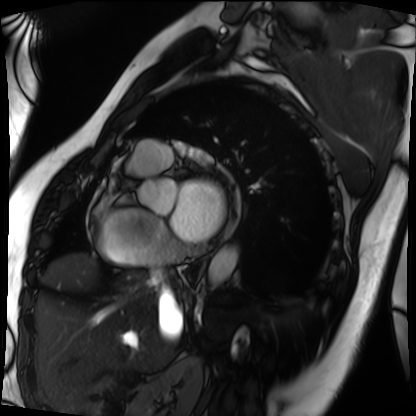
Cardiac MRI. Subject group: patient.